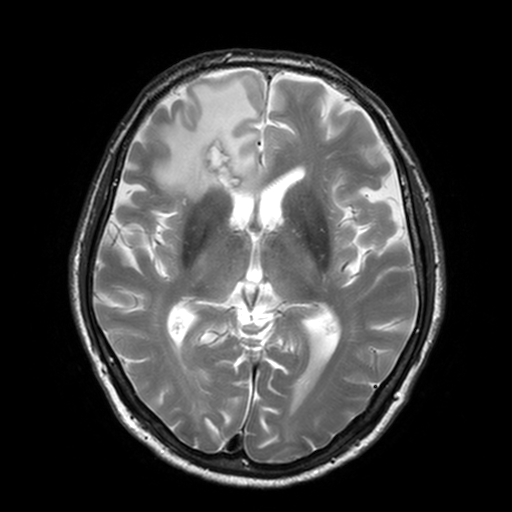
  modality:
    type: brain MRI
    field_strength: 3T
  series: T2-weighted turbo spin echo, 3 mm
  study_topic: ring-enhancing brain masses